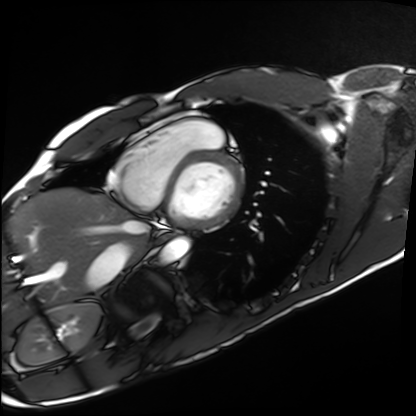
Cardiac MRI. Subject group: healthy volunteer.